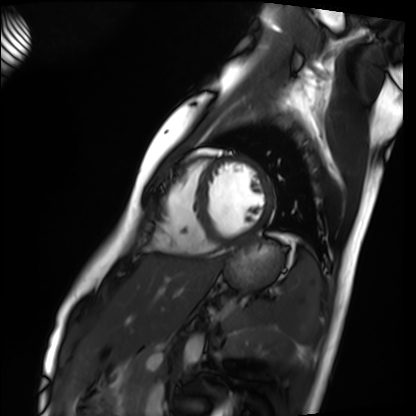
Summary: Cardiac MRI. Subject group: healthy volunteer.